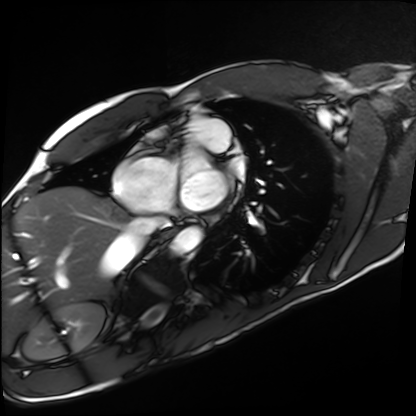
* modality · cardiac MRI
* subject group · healthy volunteer